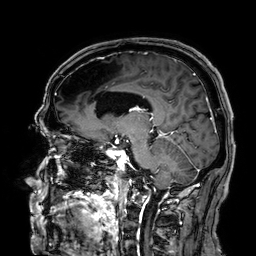
3 Tesla brain MRI. Series: 3D T1-weighted. Study: ring-enhancing brain masses.